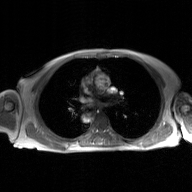
2D phase-contrast cine MRI of the ascending aorta, GAN super-resolution reconstruction.